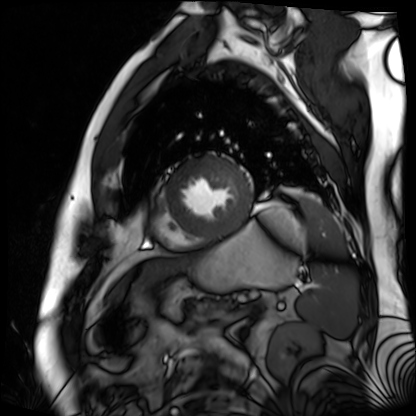
• modality · cardiac MR image of the myocardium
• subject cohort · cardiac patient